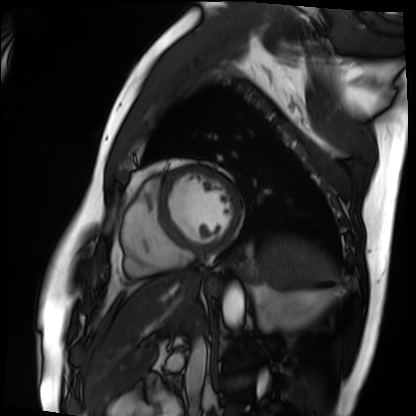
Clinical context:
Cardiac MRI. Subject group: patient.